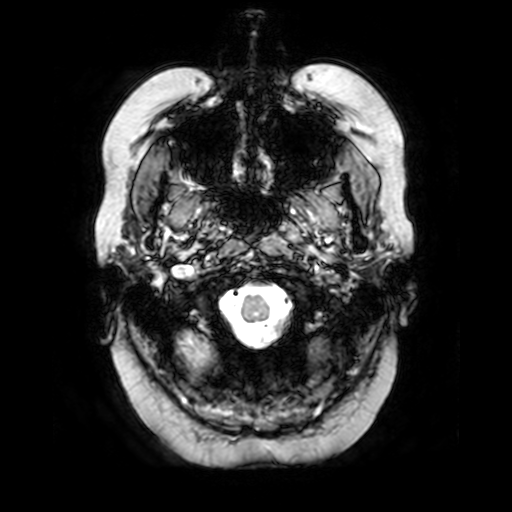
Case:
* modality — 3 Tesla brain MRI
* series — T2-weighted fast field echo
* study — ring-enhancing brain masses